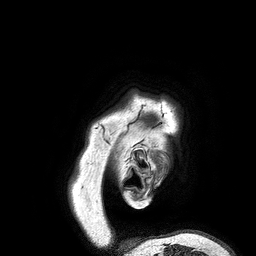
Clinical context: 3 Tesla brain MRI. Series: 3D T1-weighted turbo field echo. Study: ring-enhancing brain masses.